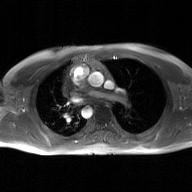
{"modality": {"type": "2D phase-contrast cine MRI", "region": "ascending aorta", "reconstruction": "GAN super-resolution reconstruction"}}